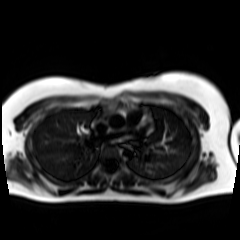
| field | value |
|---|---|
| modality | chemical-shift-encoded cardiac MRI |